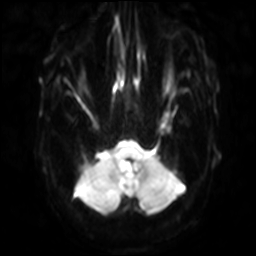
Q: What kind of scan is this?
A: 3 Tesla brain MRI.
Q: Series?
A: Diffusion-weighted imaging with SENSE (WIP).
Study: ring-enhancing brain masses.